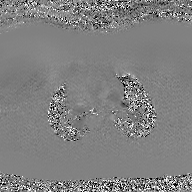
Clinical context:
2D phase-contrast cine MRI of the ascending aorta, GAN super-resolution reconstruction.